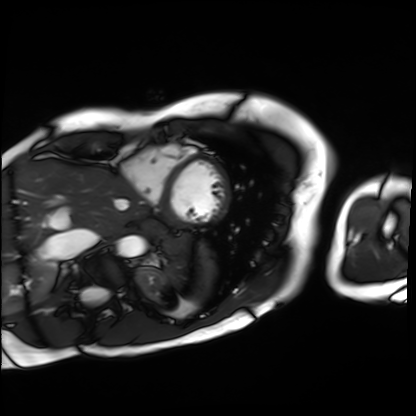
modality: cardiac MRI | subject group: patient.